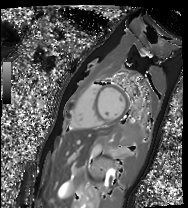
Case summary: Cardiac MR image of the myocardium. Subject cohort: healthy volunteer.